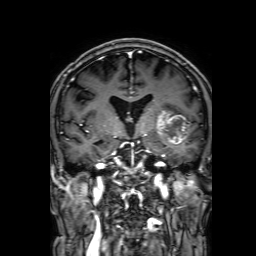
modality: 3 Tesla brain MRI | series: 3D T1-weighted with SENSE | study: ring-enhancing brain masses.